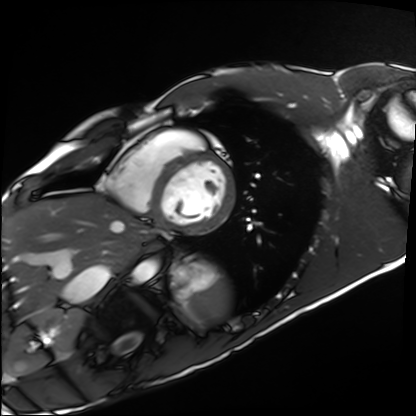
Clinical context:
Cardiac MRI. Subject group: healthy volunteer.